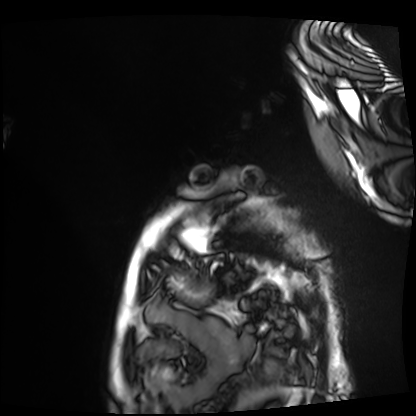
Clinical context: Cardiac MRI. Subject group: patient.